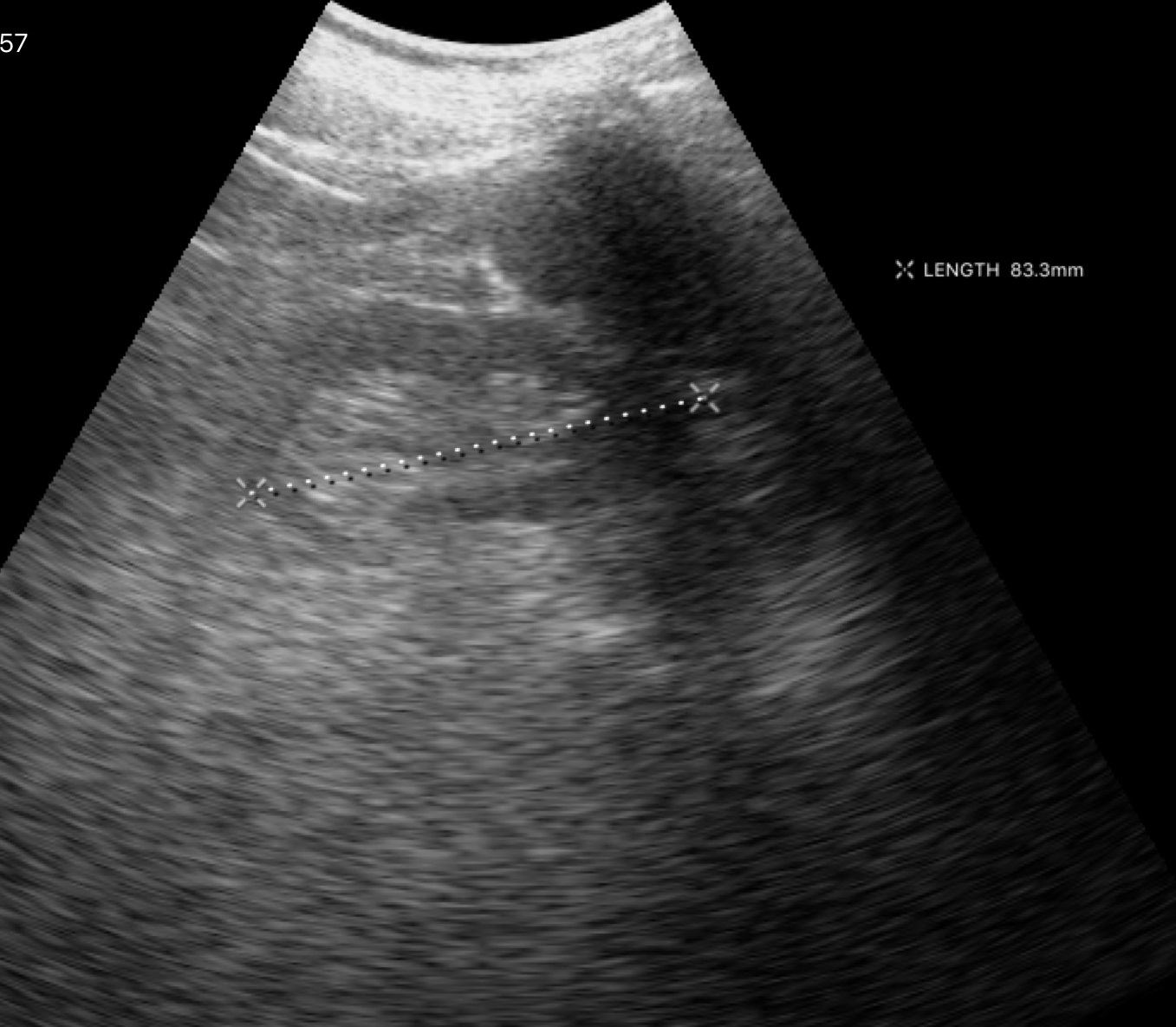
  modality:
    type: genitourinary ultrasound